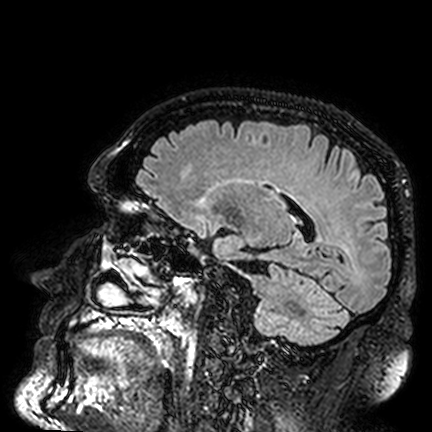
- modality: 3 Tesla brain MRI
- series: FLAIR VISTA
- study: ring-enhancing brain masses